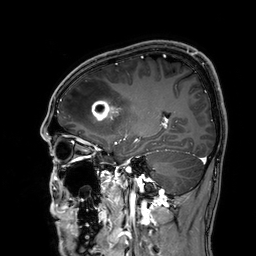
3 Tesla brain MRI. Series: 3D T1-weighted. Study: ring-enhancing brain masses.